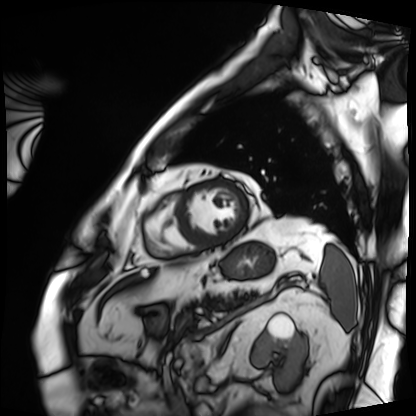
Cardiac MRI.
Subject group: patient.